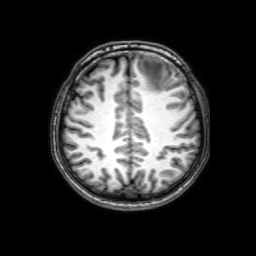
- modality · 3 Tesla brain MRI
- series · 3D T1-weighted with SENSE
- study · ring-enhancing brain masses